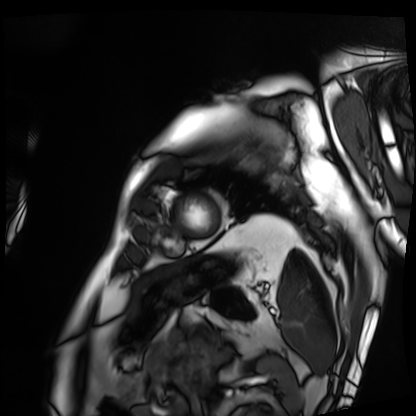
– modality · cardiac MRI
– subject group · patient